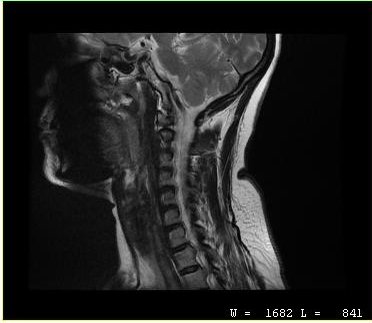
MRI of the cervical spine.
Study: cervical spondylosis.